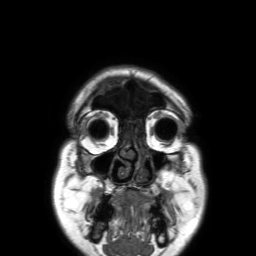
  modality:
    type: brain MRI
    field_strength: 3T
  series: 3D T1-weighted TFE with SENSE
  study_topic: ring-enhancing brain masses